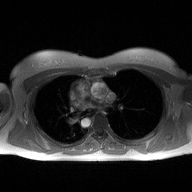
2D phase-contrast cine MRI of the ascending aorta, high-resolution GRAPPA acquisition.